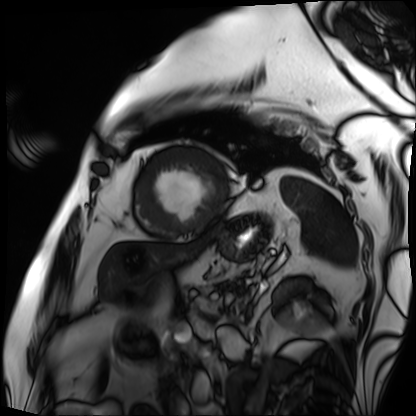
  modality: cardiac MRI
  cohort: patient